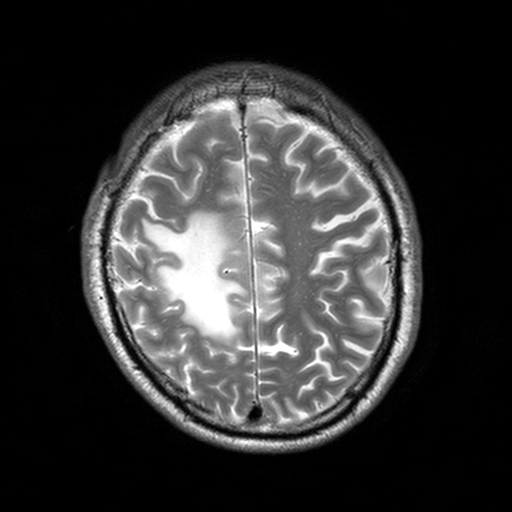
Summary:
3 Tesla brain MRI. Series: T2-weighted turbo spin echo, 3 mm. Study: ring-enhancing brain masses.